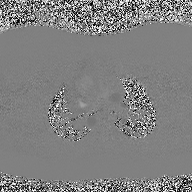
{"modality": {"type": "2D phase-contrast cine MRI", "region": "ascending aorta", "reconstruction": "high-resolution GRAPPA acquisition"}}